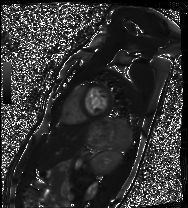
| field | value |
|---|---|
| modality | cardiac MRI |
| subject group | healthy volunteer |